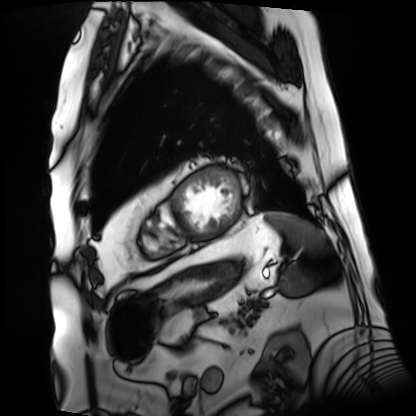
Summary: Cardiac MRI. Subject group: patient.